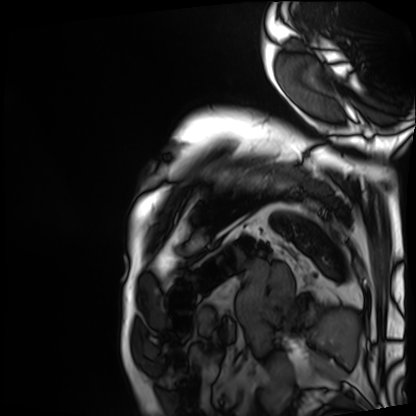
<record>
<modality>cardiac MRI</modality>
<cohort>patient</cohort>
</record>